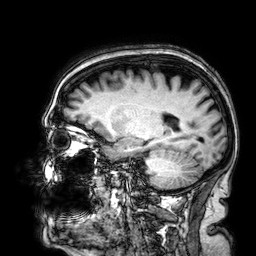
3 Tesla brain MRI. Series: 3D T1-weighted. Study: ring-enhancing brain masses.